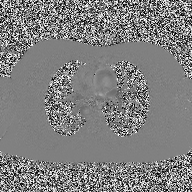
modality = 2D phase-contrast cine MRI of the ascending aorta.